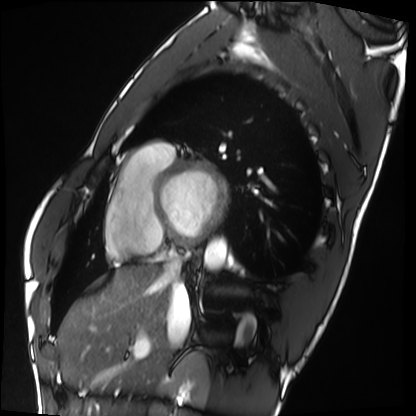
- modality · cardiac MRI
- subject group · healthy volunteer